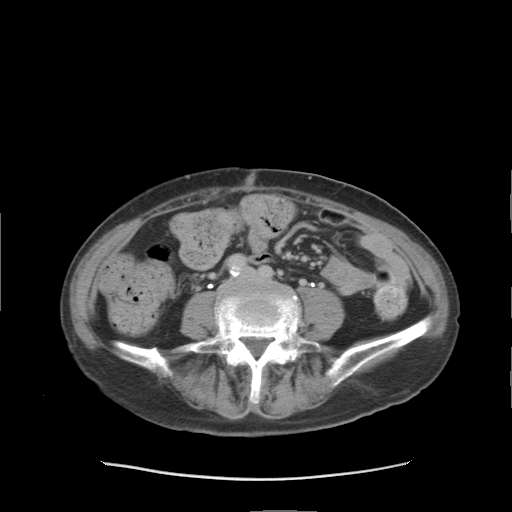
Multiphase abdominal CT, liver, delayed phase.
Patient: female, age 68.
History: prior chemotherapy.